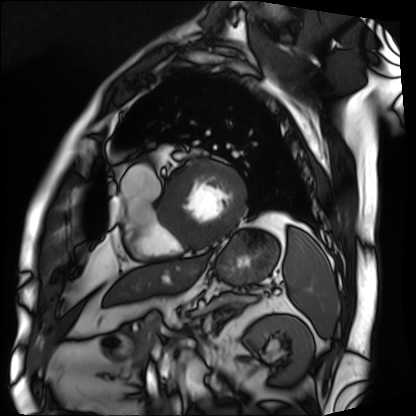
Cardiac MRI. Subject group: patient.